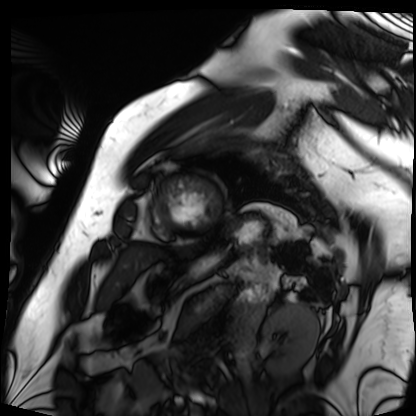
Q: What kind of scan is this?
A: Cardiac MRI.
Subject group: patient.